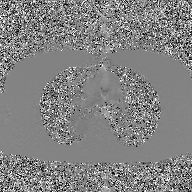
{"modality": {"type": "2D phase-contrast cine MRI", "region": "ascending aorta", "reconstruction": "GAN super-resolution reconstruction"}}